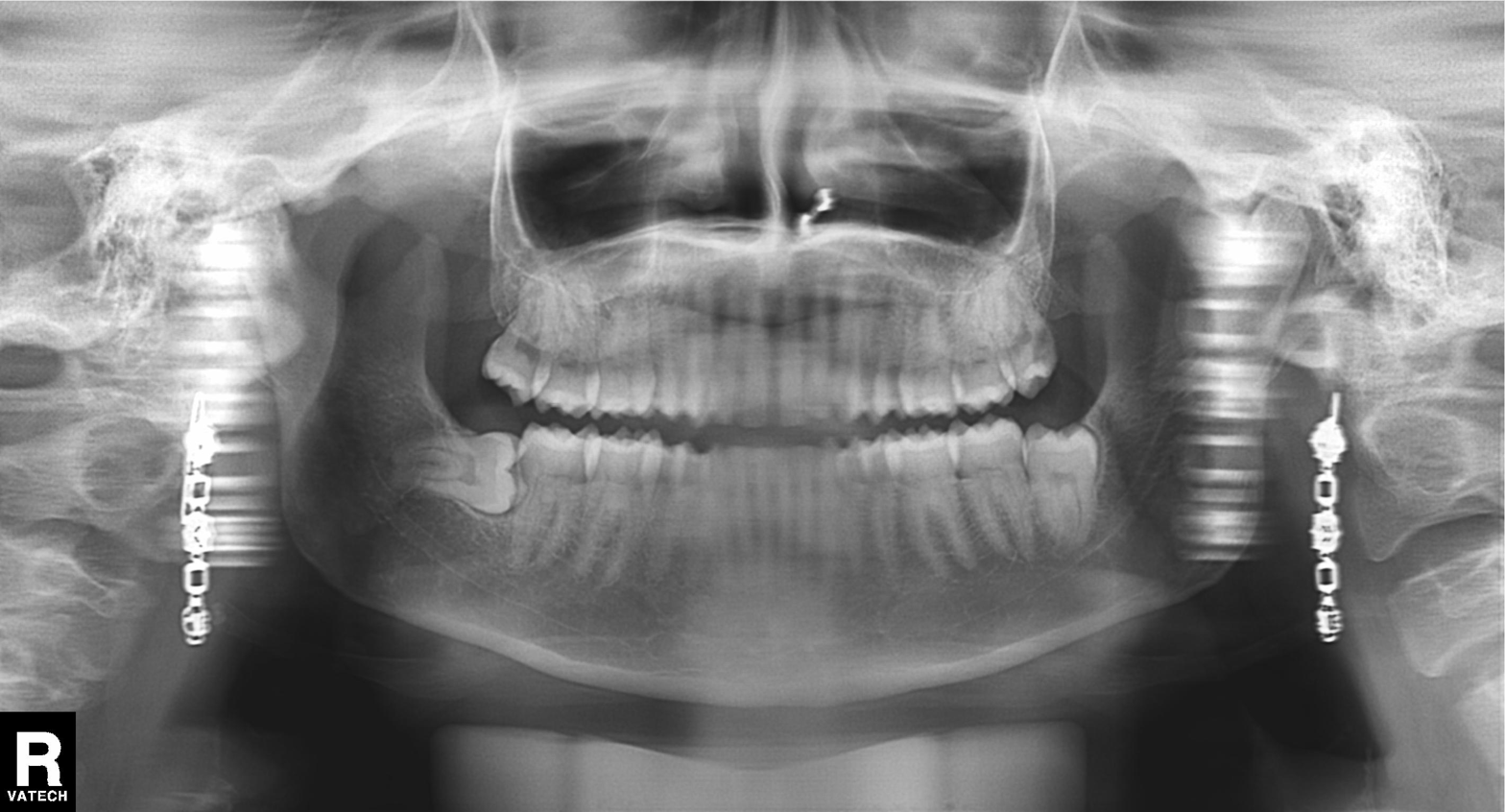
* modality — panoramic dental radiograph (orthopantomogram)
* finding — alveolar bone loss